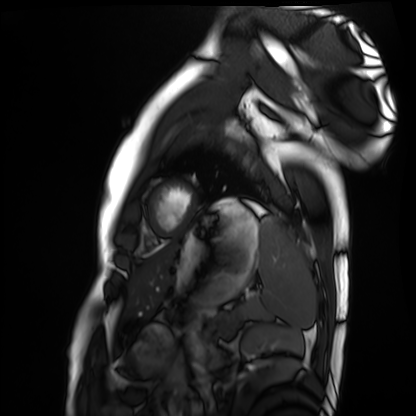
Cardiac MRI.
Subject group: healthy volunteer.